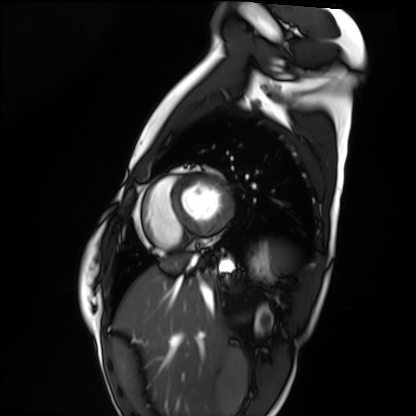
Summary:
Cardiac MRI. Subject group: healthy volunteer.